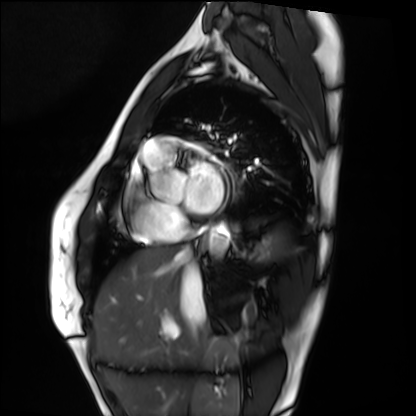
| field | value |
|---|---|
| modality | cardiac MRI |
| subject group | healthy volunteer |